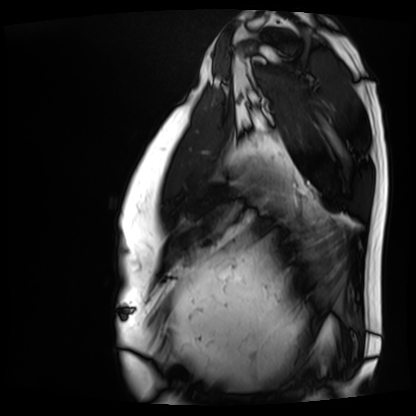
{"modality": "cardiac MRI", "cohort": "patient"}